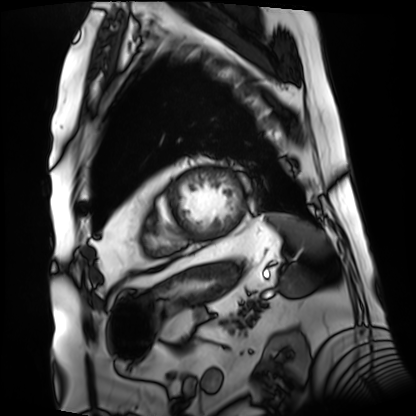
Cardiac MRI. Subject group: patient.